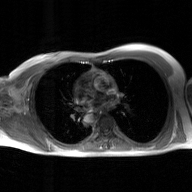
modality = 2D phase-contrast cine MRI of the ascending aorta, GAN super-resolution reconstruction.